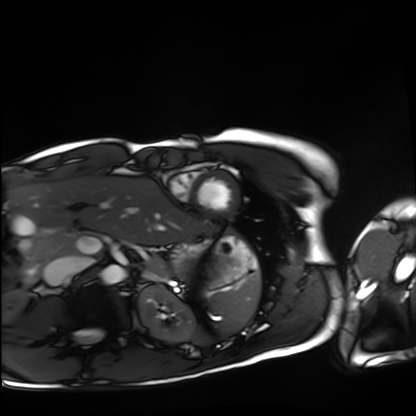
Q: What kind of scan is this?
A: Cardiac MRI.
Subject group: healthy volunteer.